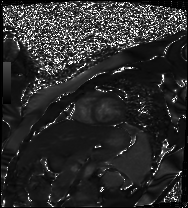
modality=cardiac MR image of the myocardium
subject cohort=healthy volunteer